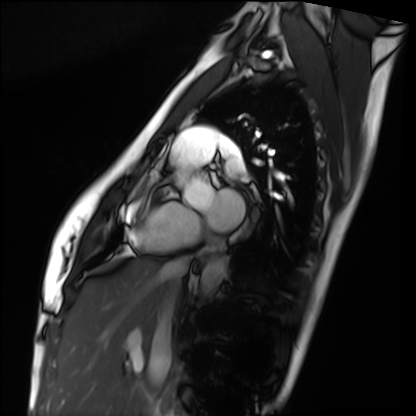
Summary: Cardiac MRI. Subject group: healthy volunteer.